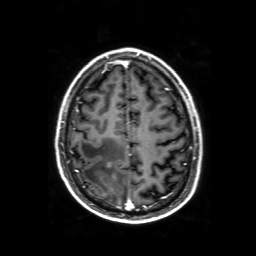
modality: 3 Tesla brain MRI; series: 3D T1-weighted with SENSE; study: ring-enhancing brain masses.